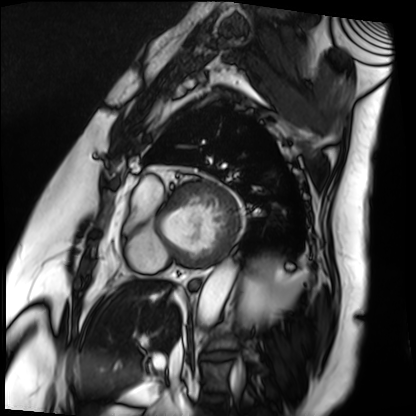
{"modality": "cardiac MRI", "cohort": "patient"}